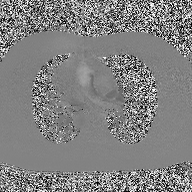
2D phase-contrast cine MRI of the ascending aorta, high-resolution GRAPPA acquisition.